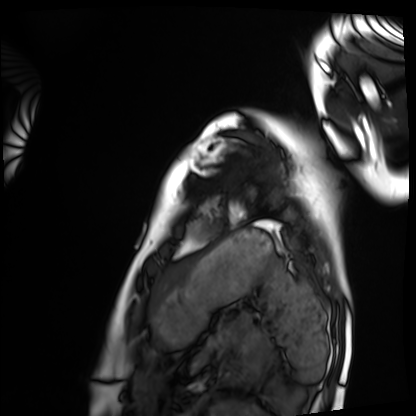
Summary: Cardiac MRI. Subject group: healthy volunteer.